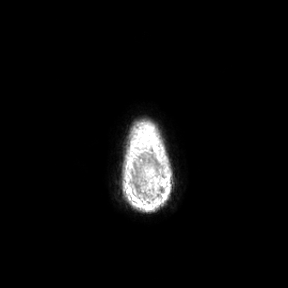
Case summary: 3 Tesla brain MRI. Series: axial. Study: ring-enhancing brain masses.